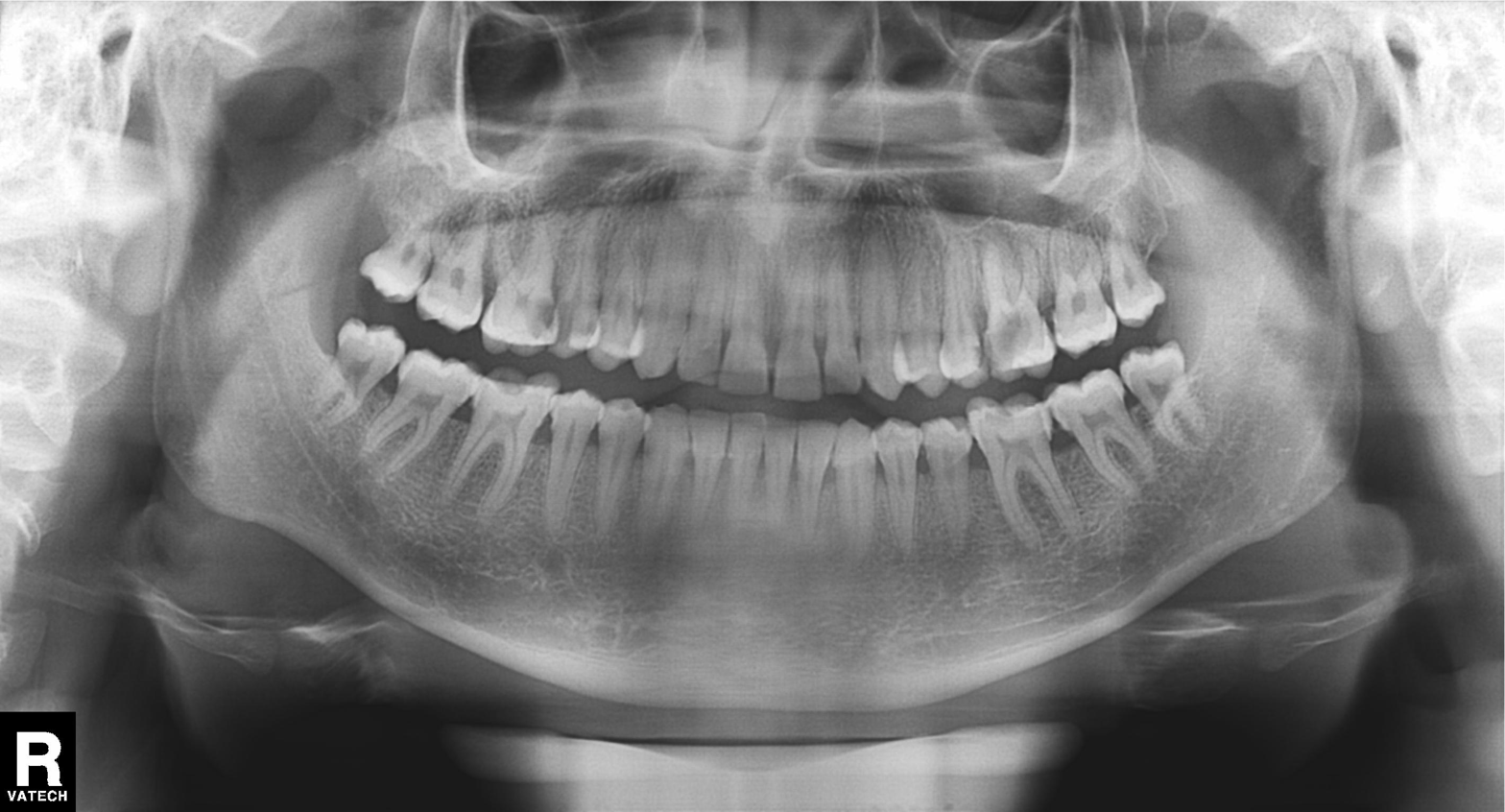
Panoramic dental radiograph (orthopantomogram).
Finding: alveolar bone loss.